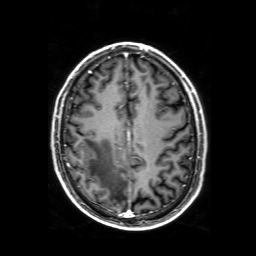
modality = 3 Tesla brain MRI
series = 3D T1-weighted with SENSE
study = ring-enhancing brain masses